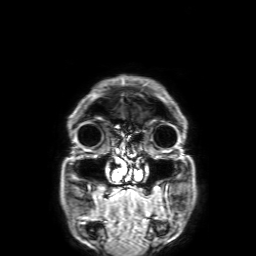
3 Tesla brain MRI.
Series: 3D T1-weighted with SENSE.
Study: ring-enhancing brain masses.